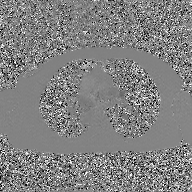
  modality:
    type: 2D phase-contrast cine MRI
    region: ascending aorta
    reconstruction: GAN super-resolution reconstruction